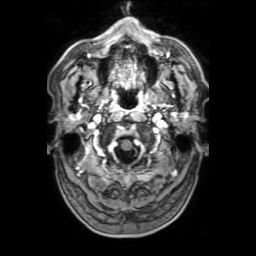
3 Tesla brain MRI. Series: 3D T1-weighted with SENSE. Study: ring-enhancing brain masses.